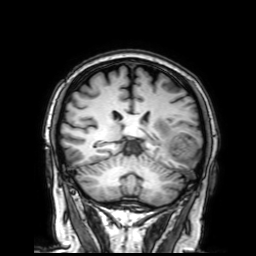
modality:
  type: brain MRI
  field_strength: 3T
series: 3D T1-weighted with SENSE
study_topic: ring-enhancing brain masses